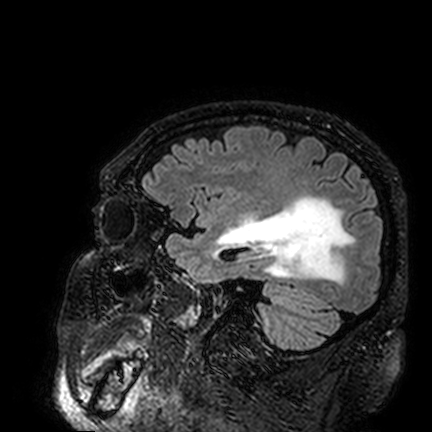
3 Tesla brain MRI.
Series: FLAIR VISTA.
Study: ring-enhancing brain masses.